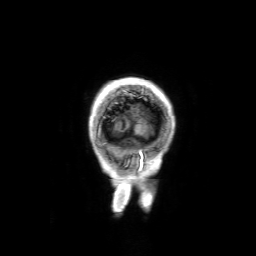
modality: 3 Tesla brain MRI
series: 3D T1-weighted with SENSE
study: ring-enhancing brain masses